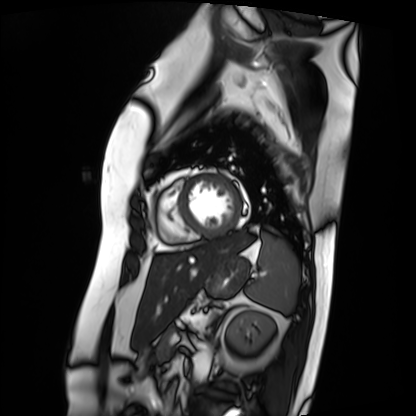
| field | value |
|---|---|
| modality | cardiac MRI |
| subject group | patient |